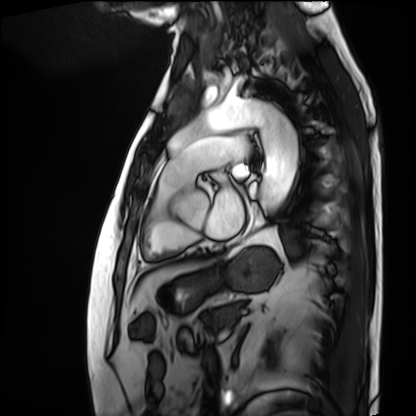
  modality: cardiac MRI
  cohort: patient